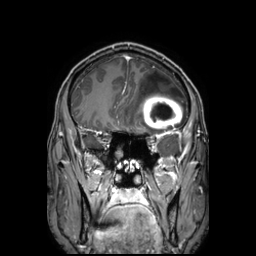
modality=3 Tesla brain MRI; series=3D T1-weighted TFE with SENSE; study=ring-enhancing brain masses.